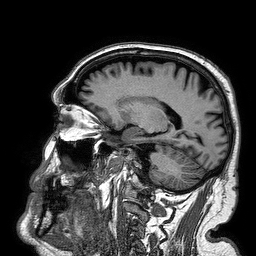
Case:
• modality — 3 Tesla brain MRI
• series — 3D T1-weighted turbo field echo
• study — ring-enhancing brain masses